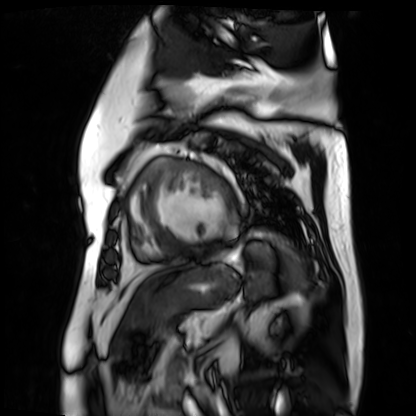
Case summary: Cardiac MR image of the myocardium. Subject cohort: cardiac patient.